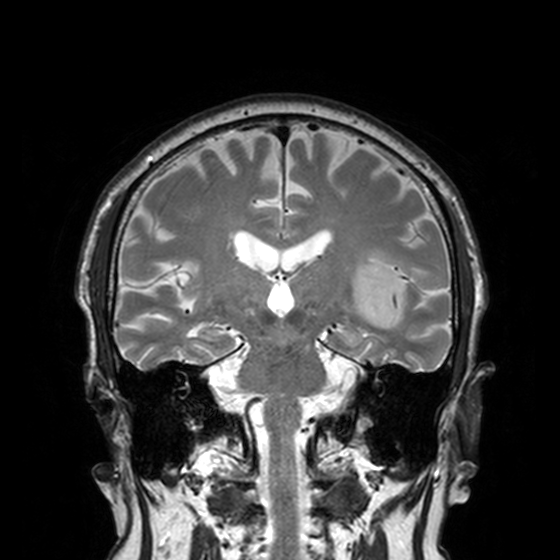
modality:
  type: brain MRI
  field_strength: 3T
series: T2-weighted turbo spin echo, 3 mm
study_topic: ring-enhancing brain masses